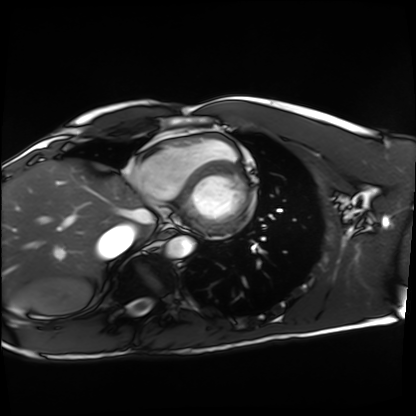
Q: What kind of scan is this?
A: Cardiac MRI.
Subject group: healthy volunteer.